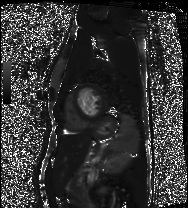
Cardiac MRI.
Subject group: healthy volunteer.